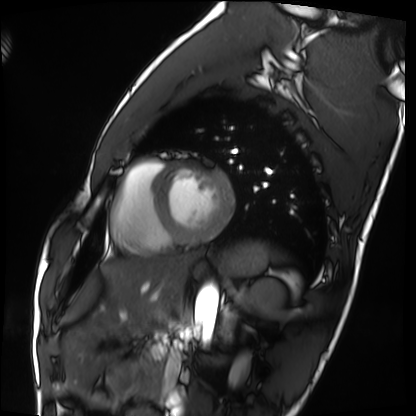
Clinical context: Cardiac MRI. Subject group: healthy volunteer.